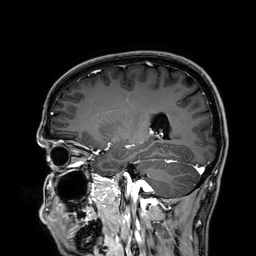
3 Tesla brain MRI. Series: 3D T1-weighted. Study: ring-enhancing brain masses.